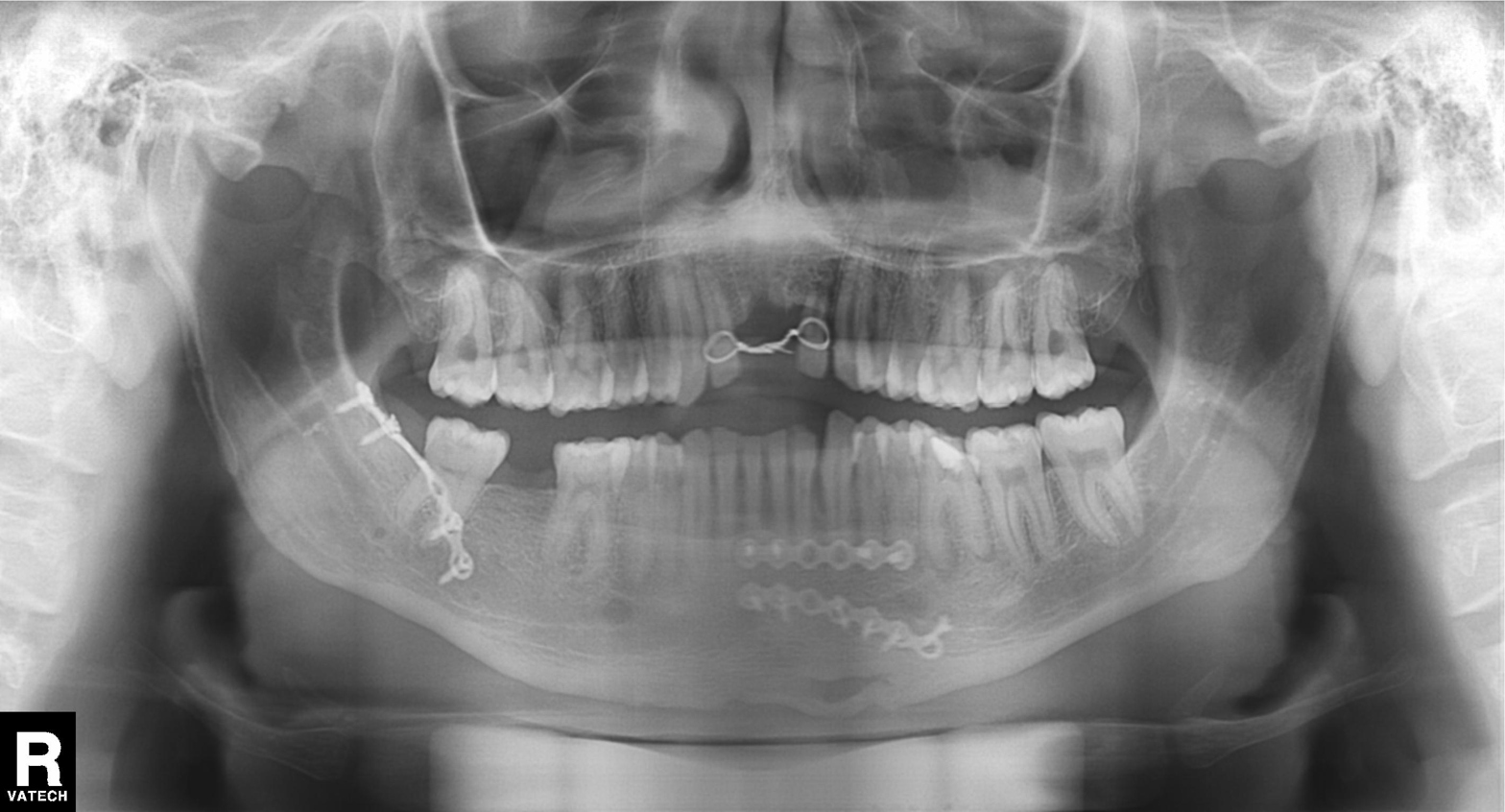
Case summary:
Panoramic dental radiograph (orthopantomogram).
Conclusion:
Alveolar bone loss.